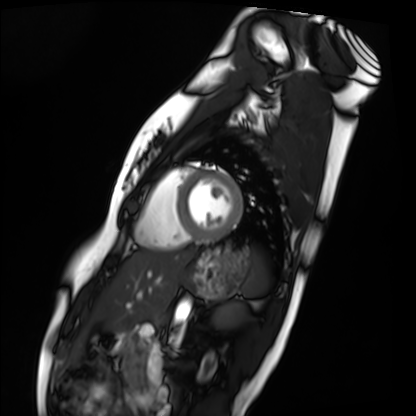
| field | value |
|---|---|
| modality | cardiac MRI |
| subject group | healthy volunteer |